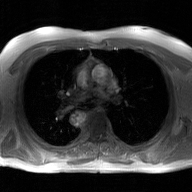
2D phase-contrast cine MRI of the ascending aorta, GAN super-resolution reconstruction.